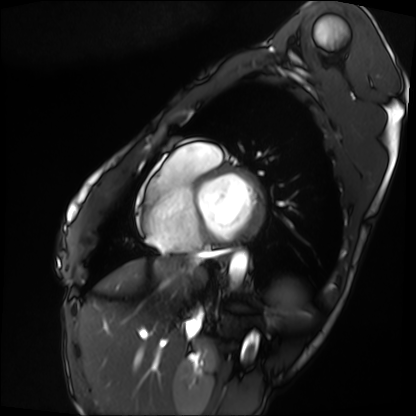
• modality · cardiac MRI
• subject group · patient